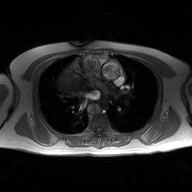
modality=2D phase-contrast cine MRI of the ascending aorta.